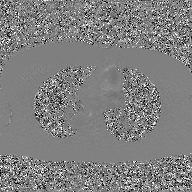
Q: What kind of scan is this?
A: 2D phase-contrast cine MRI of the ascending aorta, GAN super-resolution reconstruction.